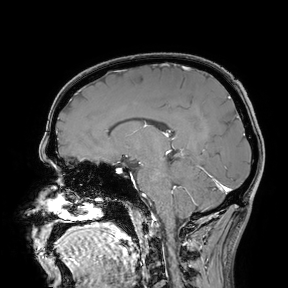
- modality — 3 Tesla brain MRI
- study — ring-enhancing brain masses